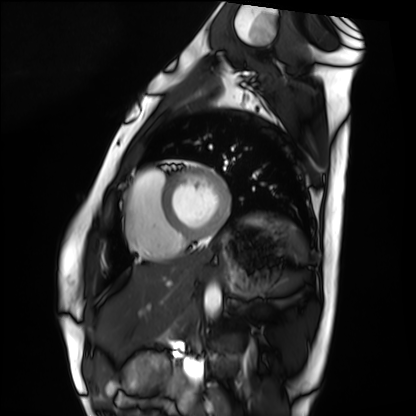
Case summary:
Cardiac MRI. Subject group: healthy volunteer.